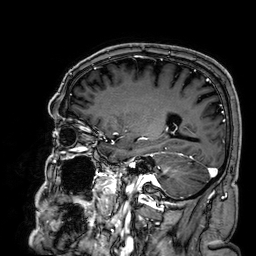
3 Tesla brain MRI. Series: 3D T1-weighted. Study: ring-enhancing brain masses.